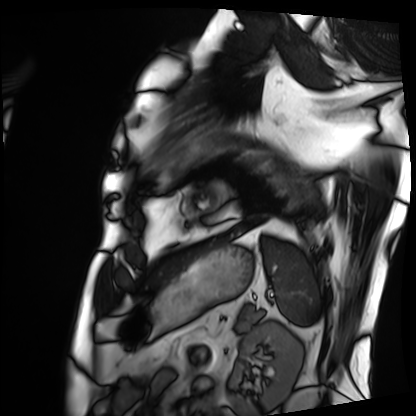
Summary: Cardiac MRI. Subject group: patient.